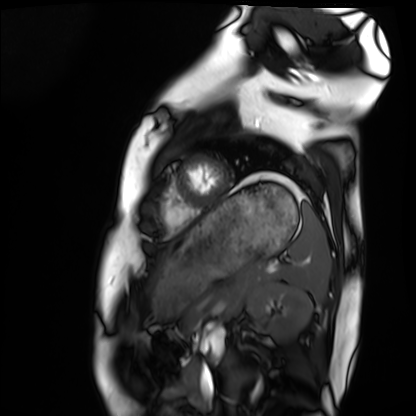
Case:
– modality — cardiac MRI
– subject group — healthy volunteer